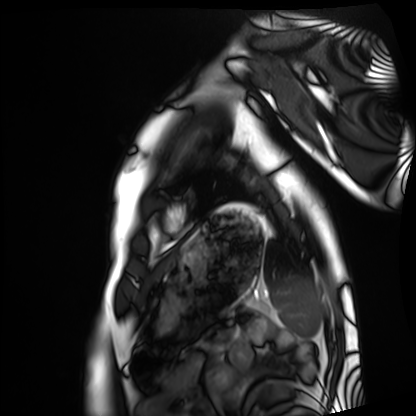
Summary:
Cardiac MRI. Subject group: healthy volunteer.